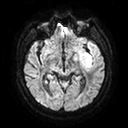
Q: What kind of scan is this?
A: 3 Tesla brain MRI.
Q: Series?
A: Diffusion tensor imaging (medium iso).
Study: ring-enhancing brain masses.